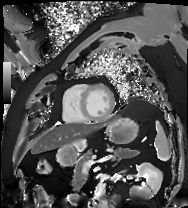
• modality — cardiac MRI
• subject group — patient